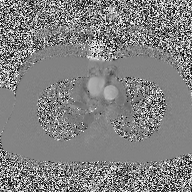
- modality · 2D phase-contrast cine MRI of the ascending aorta